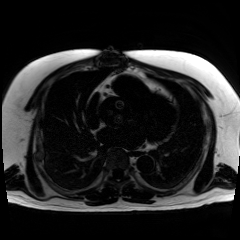
{"modality": "chemical-shift-encoded cardiac MRI"}